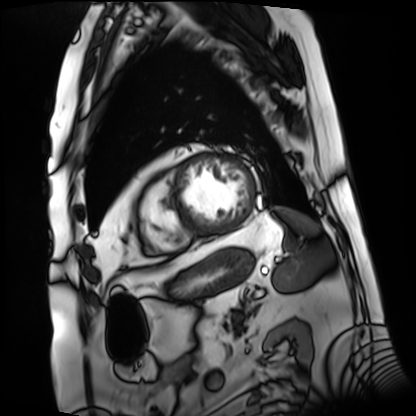
Cardiac MRI.
Subject group: patient.